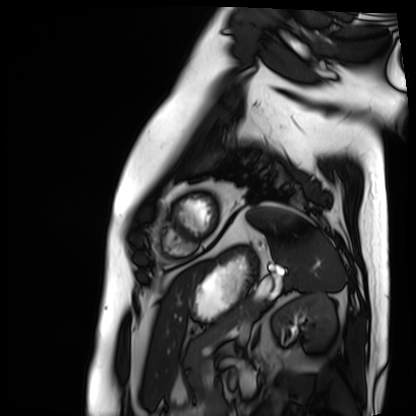
Cardiac MRI. Subject group: patient.